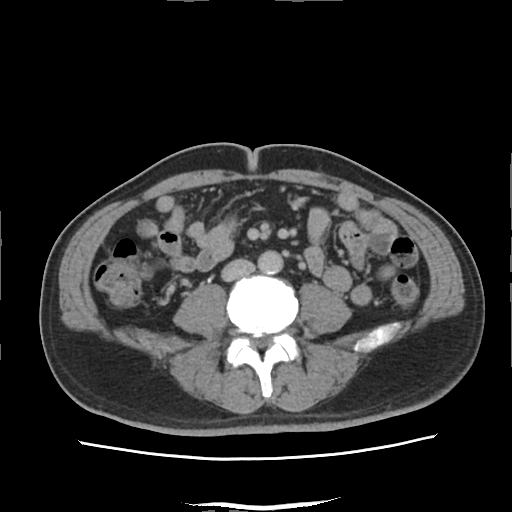
Multiphase abdominal CT, liver, delayed phase. Patient: male, age 52. History: viral hepatitis.